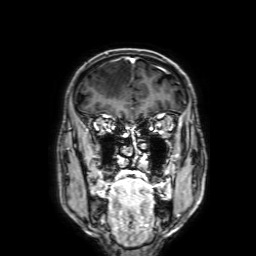
  modality:
    type: brain MRI
    field_strength: 3T
  series: 3D T1-weighted with SENSE
  study_topic: ring-enhancing brain masses